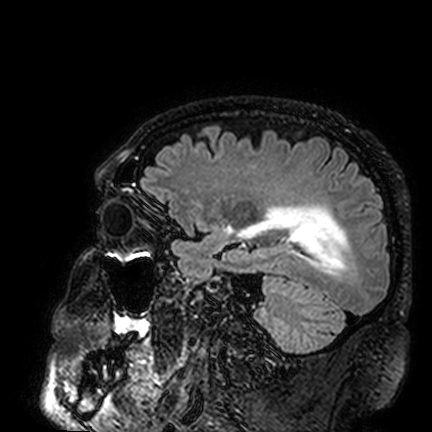
Case:
• modality · 3 Tesla brain MRI
• series · FLAIR VISTA
• study · ring-enhancing brain masses